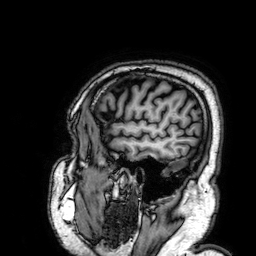
3 Tesla brain MRI. Series: 3D T1-weighted. Study: ring-enhancing brain masses.